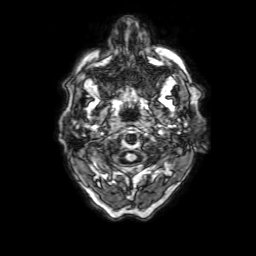
3 Tesla brain MRI.
Series: 3D T1-weighted with SENSE.
Study: ring-enhancing brain masses.